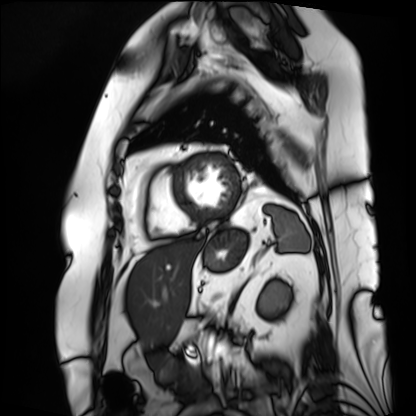
Cardiac MRI.
Subject group: patient.